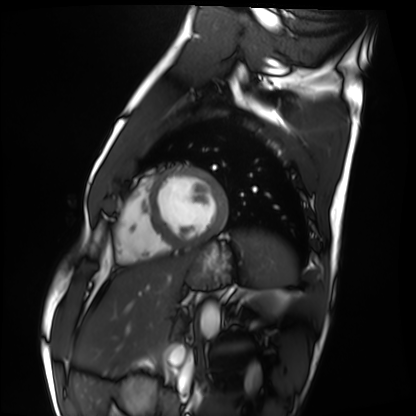
Summary:
Cardiac MRI. Subject group: healthy volunteer.